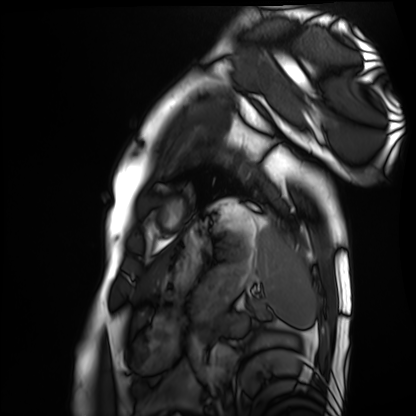
- modality — cardiac MRI
- subject group — healthy volunteer